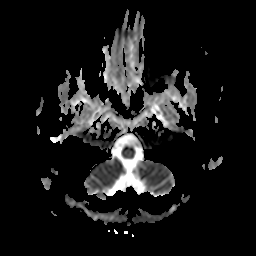
- modality — 3 Tesla brain MRI
- series — apparent diffusion coefficient (ADC) map
- study — ring-enhancing brain masses